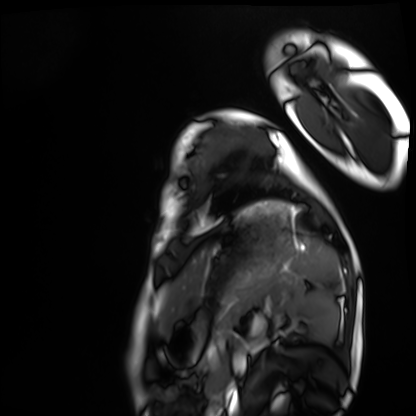
Summary: Cardiac MRI. Subject group: healthy volunteer.